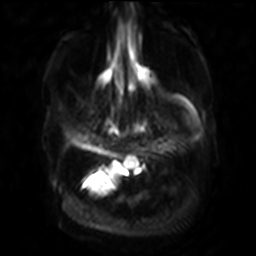
Q: What kind of scan is this?
A: 3 Tesla brain MRI.
Q: Series?
A: Diffusion-weighted imaging with SENSE (WIP).
Study: ring-enhancing brain masses.